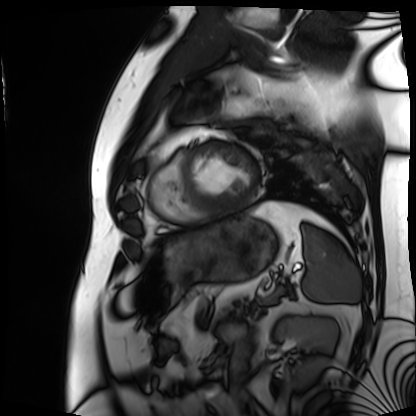
• modality — cardiac MRI
• subject group — patient